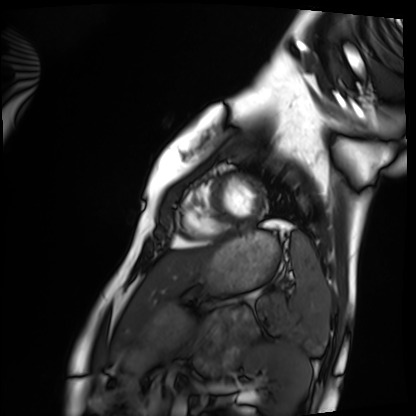
Summary:
Cardiac MRI. Subject group: healthy volunteer.